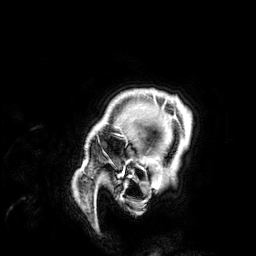
Clinical context: 3 Tesla brain MRI. Series: 3D T1-weighted. Study: ring-enhancing brain masses.